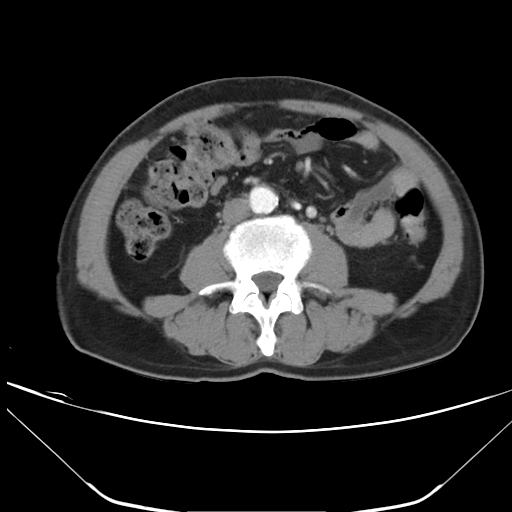
  modality:
    type: multiphase abdominal CT
    region: liver
    phase: arterial
  patient:
    sex: male
    age: 61